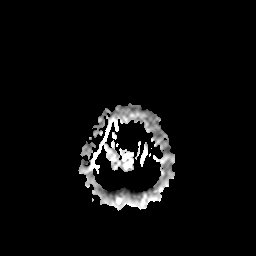
  modality:
    type: brain MRI
    field_strength: 3T
  series: apparent diffusion coefficient (ADC) map
  study_topic: ring-enhancing brain masses